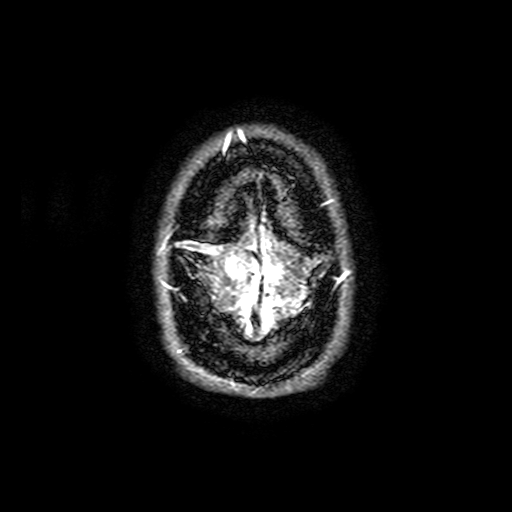
3 Tesla brain MRI. Series: FLAIR with SPAIR, 3 mm. Study: ring-enhancing brain masses.